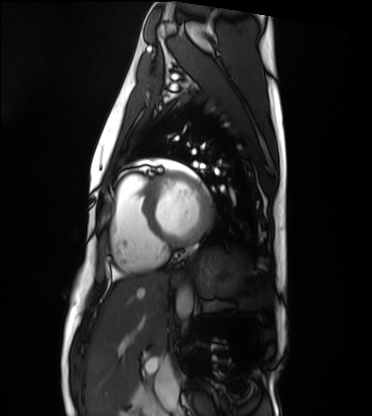
Cardiac MRI. Subject group: healthy volunteer.